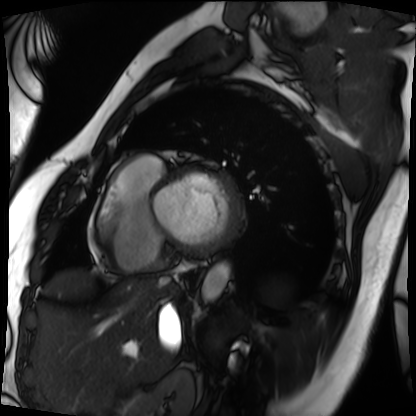
Cardiac MRI. Subject group: patient.